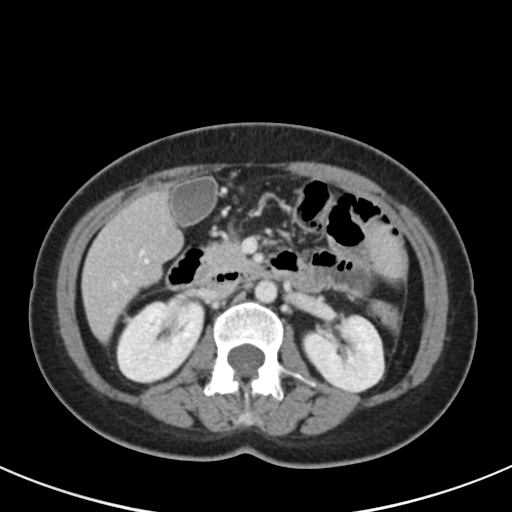
Multiphase abdominal CT, liver, portal venous phase. Patient: female, age 44. History: viral hepatitis.